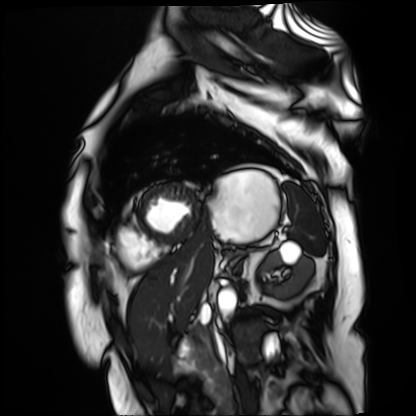
Q: What kind of scan is this?
A: Cardiac MR image of the myocardium.
Subject cohort: cardiac patient.